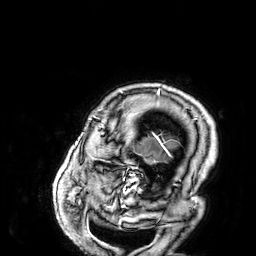
Summary: 3 Tesla brain MRI. Series: 3D T1-weighted. Study: ring-enhancing brain masses.